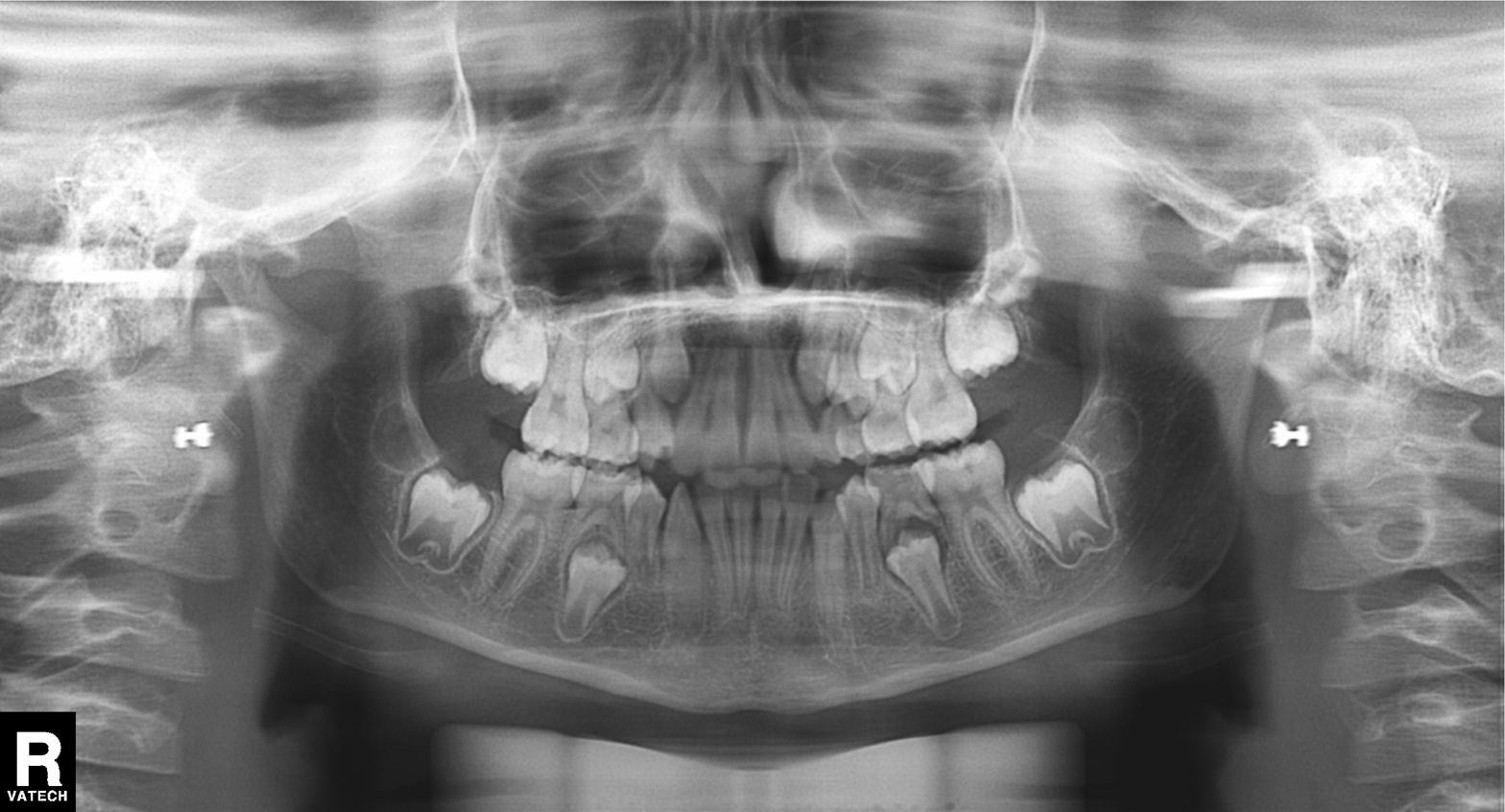
Panoramic dental radiograph (orthopantomogram).
Finding: tooth impaction.